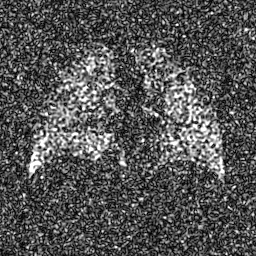
Case summary:
Hyperpolarized 129Xe ventilation MRI of the lungs. SNR level 7 of 8 (the deposit holds this scan as its native image and as seven SNR-degraded versions).